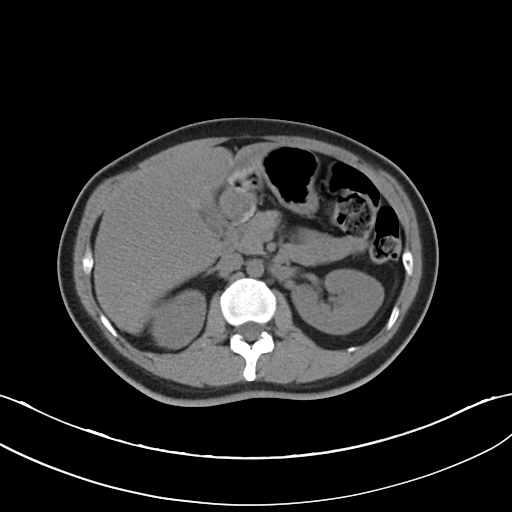
Summary: Multiphase abdominal CT, liver, non-contrast phase. Patient: female, age 37.